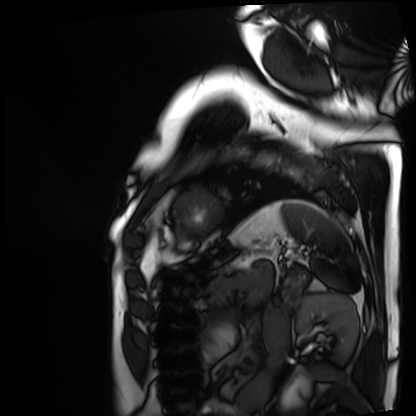
Case summary: Cardiac MRI. Subject group: patient.